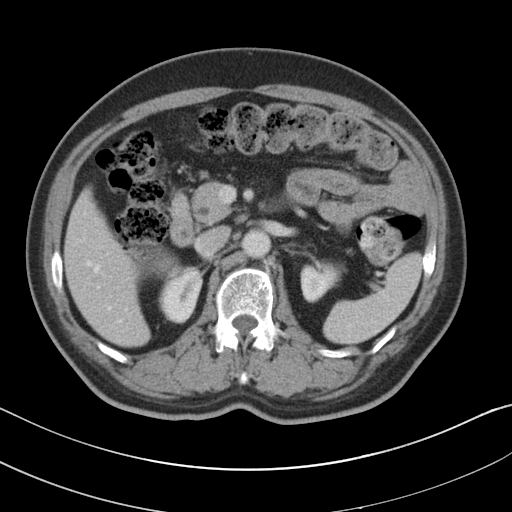
Multiphase abdominal CT, liver, portal venous phase. Patient: male, age 58.